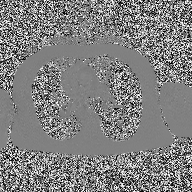
Case summary:
2D phase-contrast cine MRI of the ascending aorta, high-resolution GRAPPA acquisition.